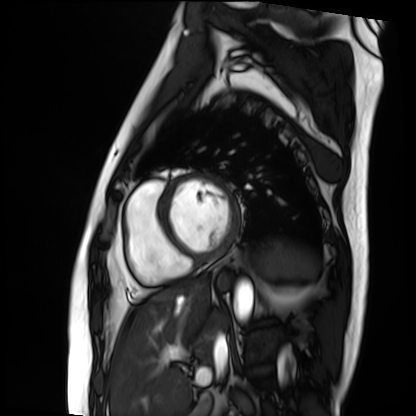
modality = cardiac MRI; subject group = patient.